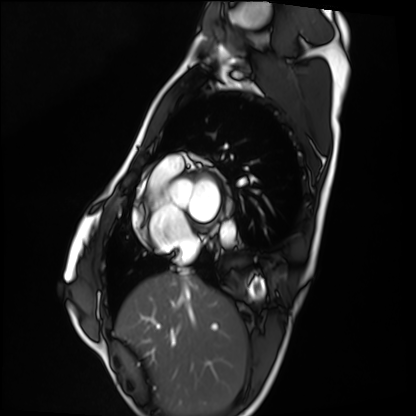
<record>
  <modality>cardiac MRI</modality>
  <cohort>healthy volunteer</cohort>
</record>